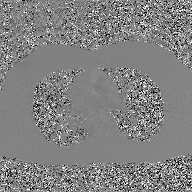
– modality · 2D phase-contrast cine MRI of the ascending aorta, GAN super-resolution reconstruction